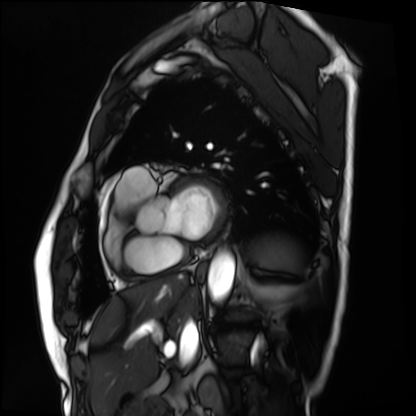
<study>
  <modality>cardiac MRI</modality>
  <cohort>patient</cohort>
</study>